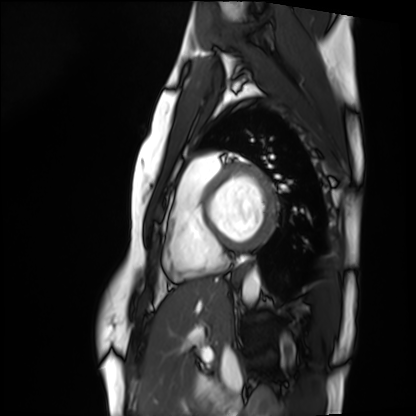
modality = cardiac MRI; subject group = healthy volunteer.